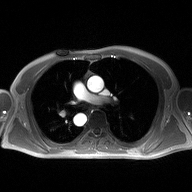
{"modality": {"type": "2D phase-contrast cine MRI", "region": "ascending aorta", "reconstruction": "high-resolution GRAPPA acquisition"}}